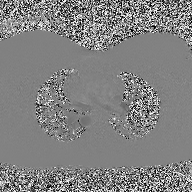
2D phase-contrast cine MRI of the ascending aorta, high-resolution GRAPPA acquisition.